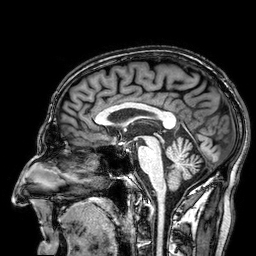
3 Tesla brain MRI.
Series: 3D T1-weighted.
Study: ring-enhancing brain masses.